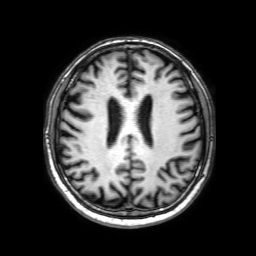
modality: 3 Tesla brain MRI; series: 3D T1-weighted with SENSE; study: ring-enhancing brain masses.